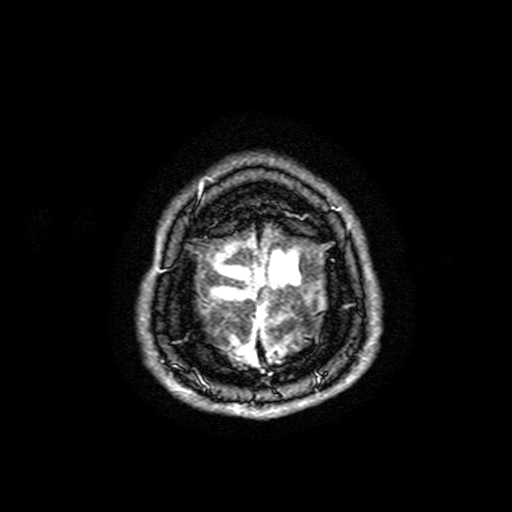
Case:
• modality — 3 Tesla brain MRI
• study — ring-enhancing brain masses